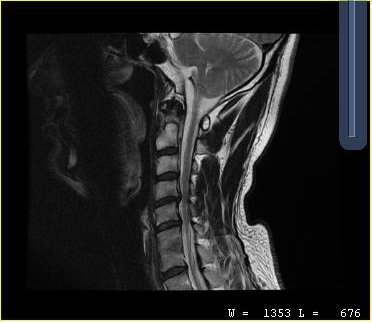
{"modality": {"type": "cervical spine MRI"}, "study_topic": "cervical spondylosis"}